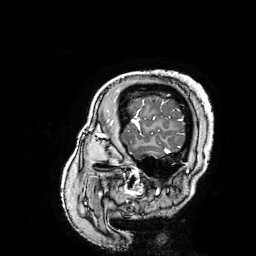
modality — 3 Tesla brain MRI; series — 3D T1-weighted turbo field echo with SENSE; study — ring-enhancing brain masses.